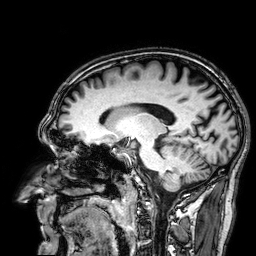
3 Tesla brain MRI.
Series: 3D T1-weighted.
Study: ring-enhancing brain masses.